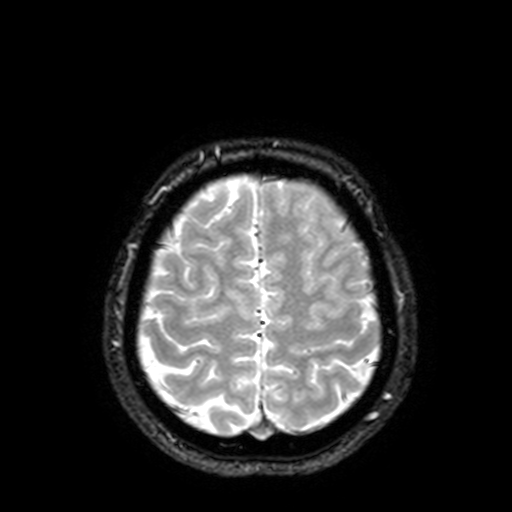
<scan>
  <modality>
    <type>brain MRI</type>
    <field_strength>3T</field_strength>
  </modality>
  <series>T2-weighted fast field echo with SENSE</series>
  <study_topic>ring-enhancing brain masses</study_topic>
</scan>